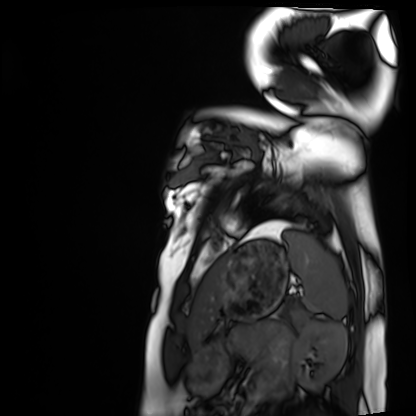
Cardiac MRI. Subject group: healthy volunteer.